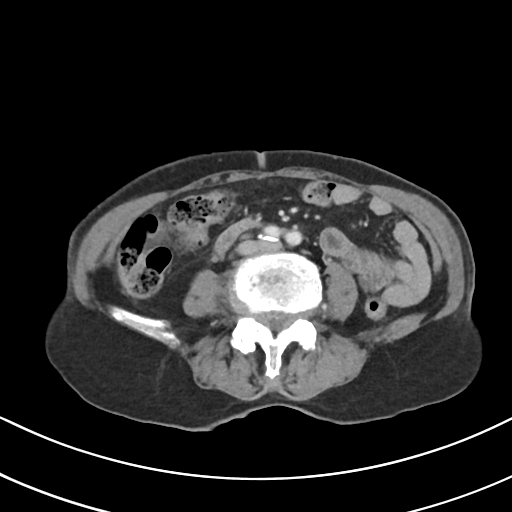
Multiphase abdominal CT, liver, portal venous phase. Patient: female, age 75. History: prior chemotherapy.